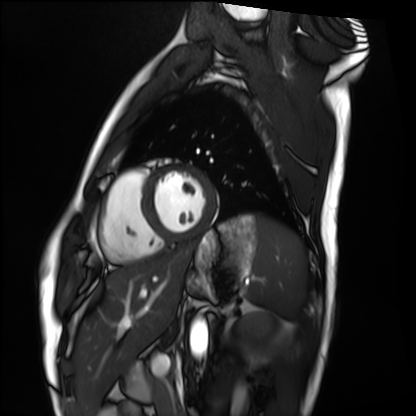
Case:
– modality — cardiac MRI
– subject group — healthy volunteer